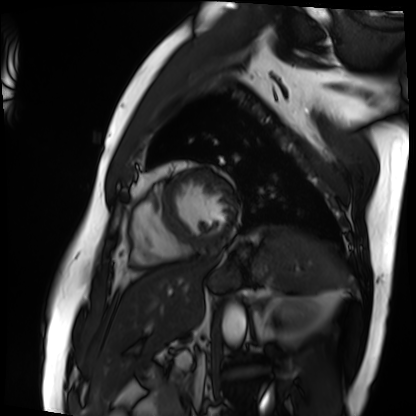
Cardiac MRI. Subject group: patient.